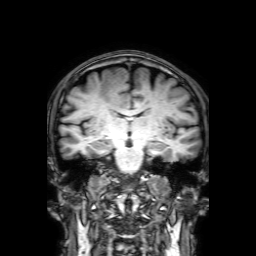
3 Tesla brain MRI.
Series: 3D T1-weighted with SENSE.
Study: ring-enhancing brain masses.